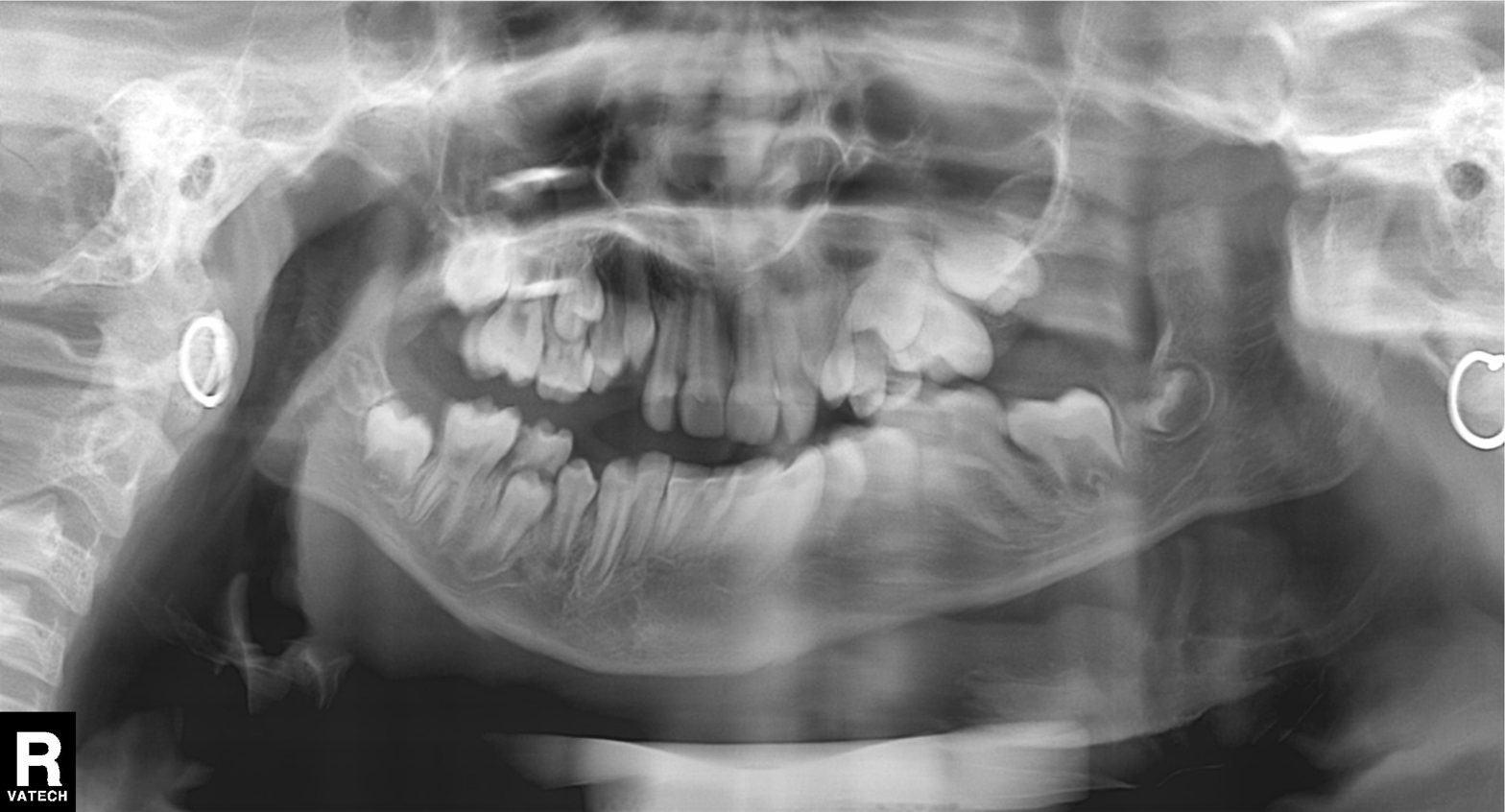
Panoramic dental radiograph (orthopantomogram). Finding: alveolar bone loss.